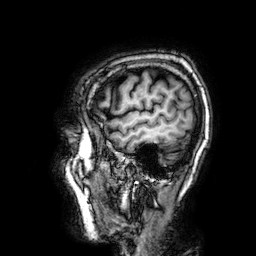
3 Tesla brain MRI.
Series: 3D T1-weighted.
Study: ring-enhancing brain masses.